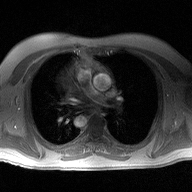
Clinical context: 2D phase-contrast cine MRI of the ascending aorta, high-resolution GRAPPA acquisition.